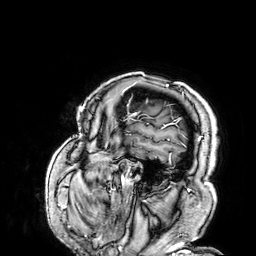
3 Tesla brain MRI. Series: 3D T1-weighted. Study: ring-enhancing brain masses.